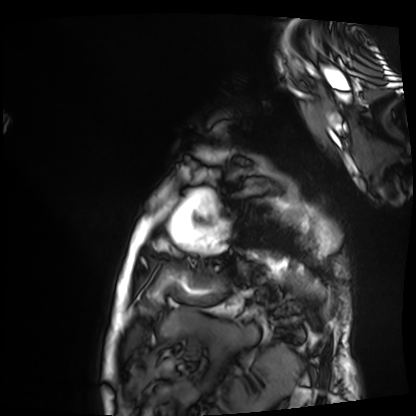
Q: What kind of scan is this?
A: Cardiac MRI.
Subject group: patient.